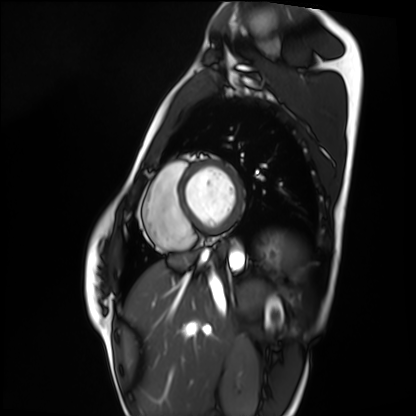
Summary:
Cardiac MRI. Subject group: healthy volunteer.